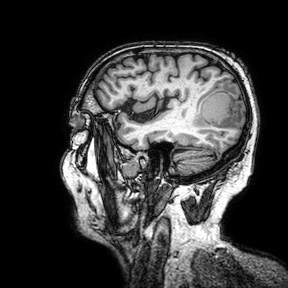
3 Tesla brain MRI.
Series: 3D T1-weighted turbo field echo with SENSE.
Study: ring-enhancing brain masses.